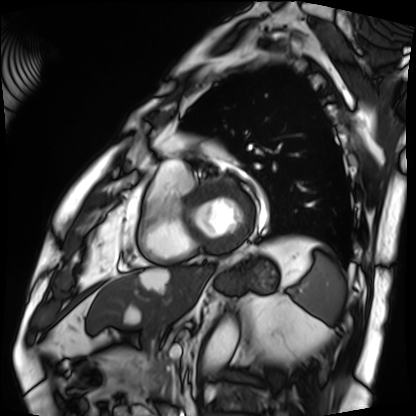
modality — cardiac MRI; subject group — patient.